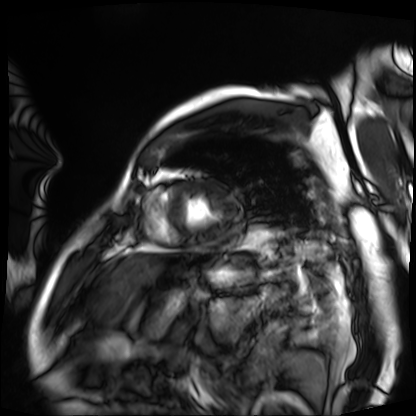
Cardiac MRI. Subject group: patient.